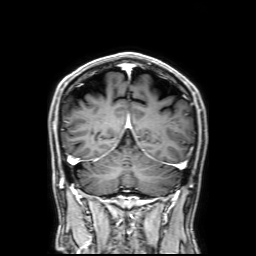
  modality:
    type: brain MRI
    field_strength: 3T
  series: 3D T1-weighted with SENSE
  study_topic: ring-enhancing brain masses